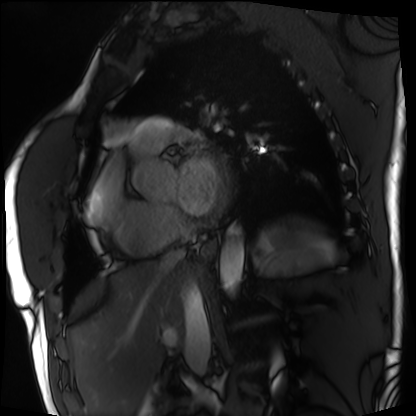
Summary: Cardiac MRI. Subject group: patient.